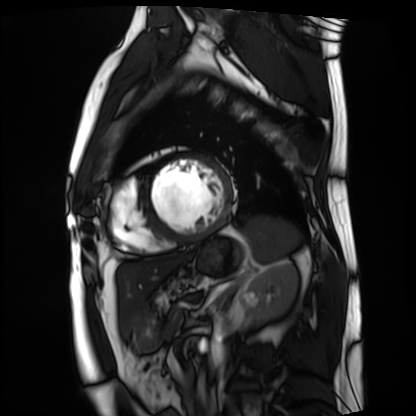
Cardiac MRI. Subject group: patient.